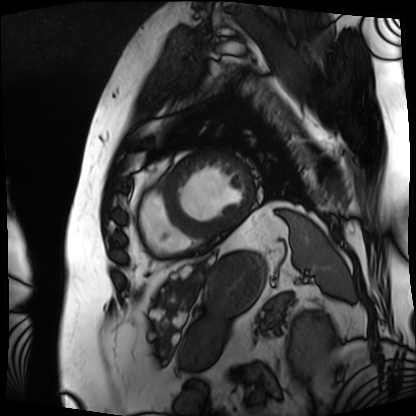
Q: What kind of scan is this?
A: Cardiac MRI.
Subject group: patient.